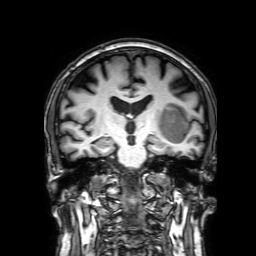
modality — 3 Tesla brain MRI | series — 3D T1-weighted with SENSE | study — ring-enhancing brain masses.